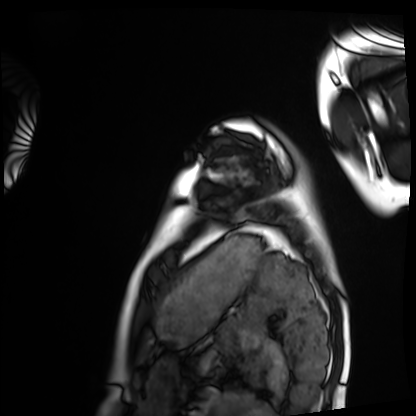
Cardiac MRI.
Subject group: healthy volunteer.